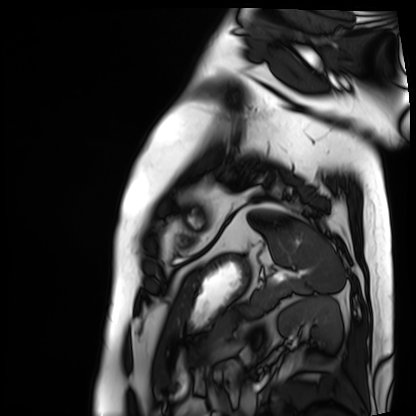
modality: cardiac MRI
subject group: patient